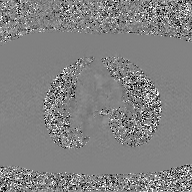
2D phase-contrast cine MRI of the ascending aorta, GAN super-resolution reconstruction.